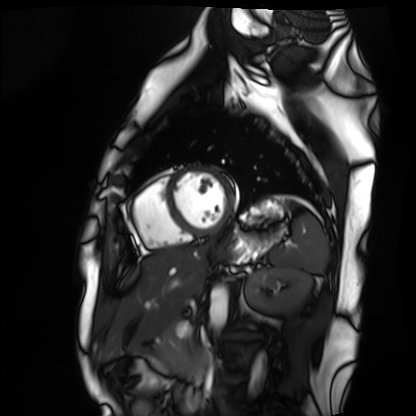
Cardiac MRI.
Subject group: healthy volunteer.